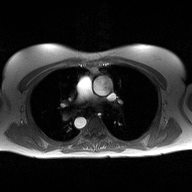
modality = 2D phase-contrast cine MRI of the ascending aorta